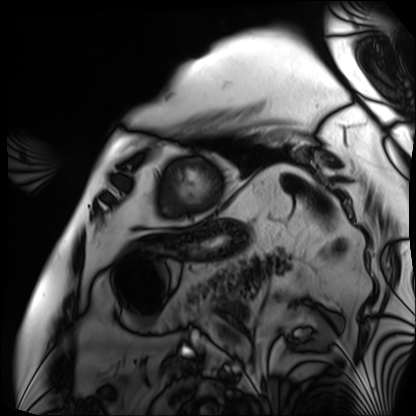
| field | value |
|---|---|
| modality | cardiac MRI |
| subject group | patient |